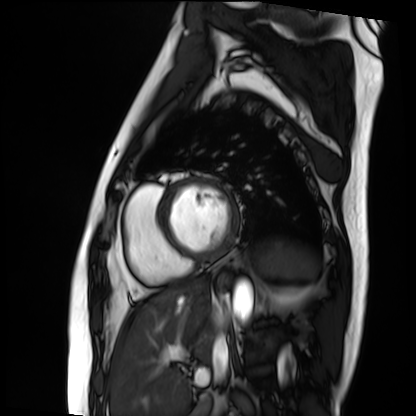
modality: cardiac MRI
cohort: patient